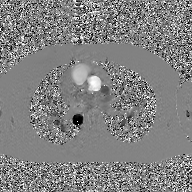
Summary:
2D phase-contrast cine MRI of the ascending aorta, GAN super-resolution reconstruction.